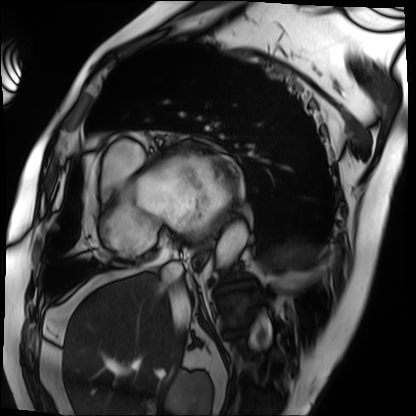
Case summary: Cardiac MRI. Subject group: patient.